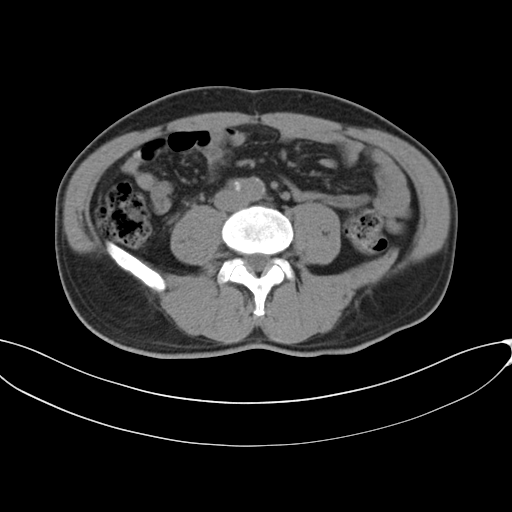
Multiphase abdominal CT, liver, non-contrast phase. Patient: male, age 46.